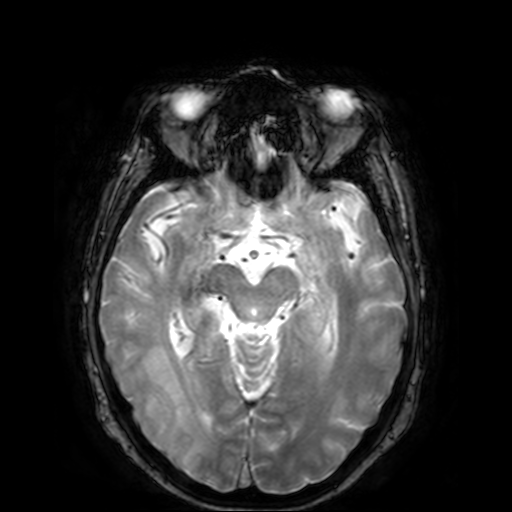
- modality · 3 Tesla brain MRI
- study · ring-enhancing brain masses